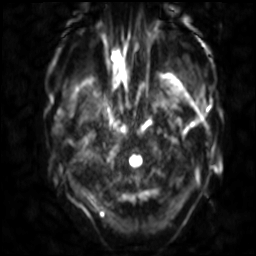
{
  "modality": {
    "type": "brain MRI",
    "field_strength": "3T"
  },
  "series": "diffusion-weighted imaging with SENSE (WIP)",
  "study_topic": "ring-enhancing brain masses"
}